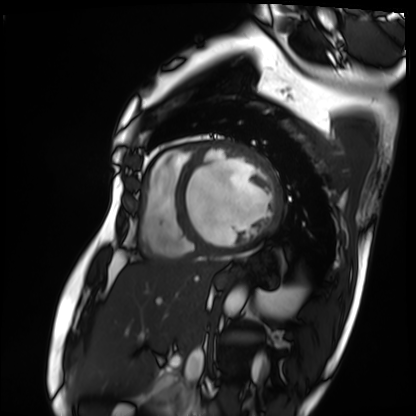
– modality: cardiac MRI
– subject group: patient